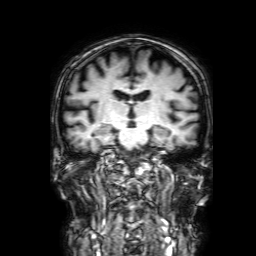
Q: What kind of scan is this?
A: 3 Tesla brain MRI.
Q: Series?
A: 3D T1-weighted with SENSE.
Study: ring-enhancing brain masses.